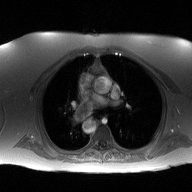
• modality · 2D phase-contrast cine MRI of the ascending aorta